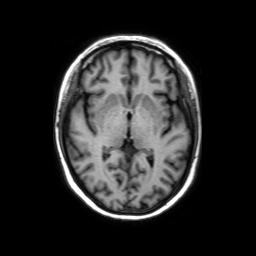
3 Tesla brain MRI.
Series: axial without contrast.
Study: ring-enhancing brain masses.